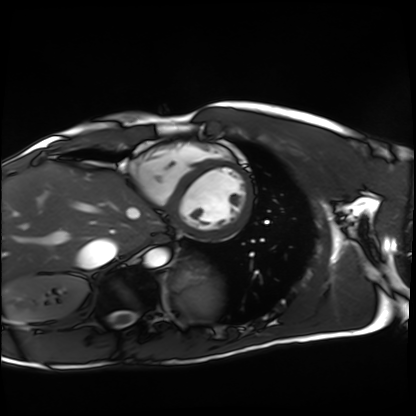
modality: cardiac MRI
subject group: healthy volunteer